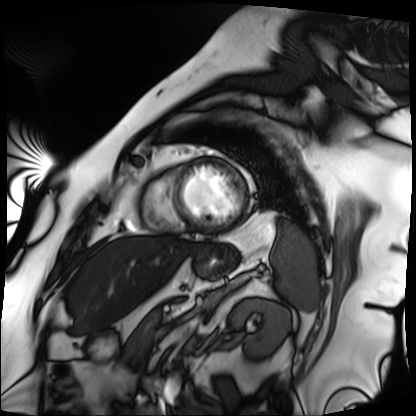
Summary:
Cardiac MRI. Subject group: patient.